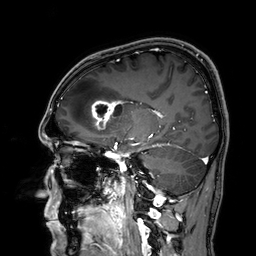
3 Tesla brain MRI.
Series: 3D T1-weighted.
Study: ring-enhancing brain masses.